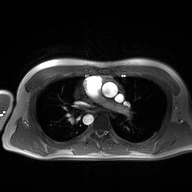
modality=2D phase-contrast cine MRI of the ascending aorta.